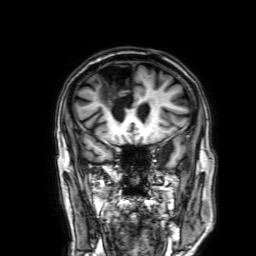
modality = 3 Tesla brain MRI
study = ring-enhancing brain masses